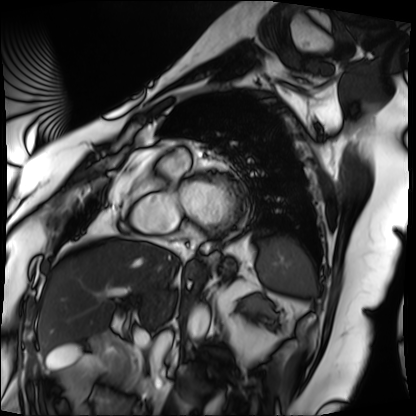
modality — cardiac MRI; subject group — patient.